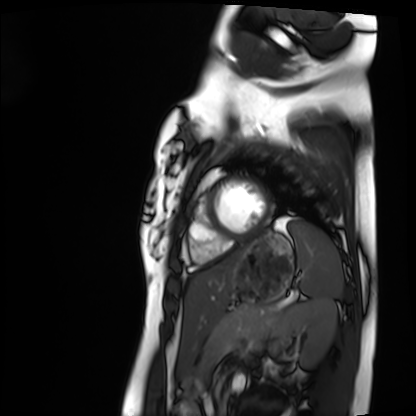
Cardiac MRI.
Subject group: healthy volunteer.